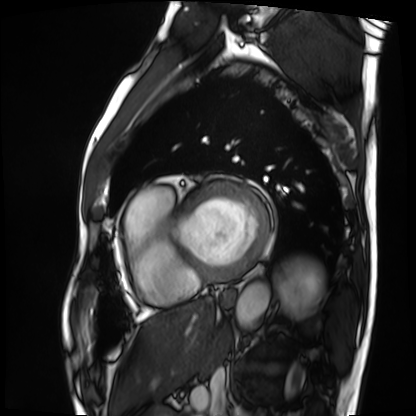
Q: What kind of scan is this?
A: Cardiac MRI.
Subject group: patient.